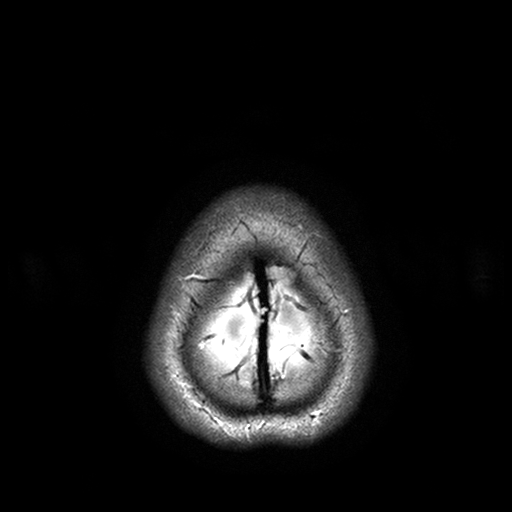
Q: What kind of scan is this?
A: 3 Tesla brain MRI.
Q: Series?
A: T2-weighted turbo spin echo with SENSE.
Study: ring-enhancing brain masses.